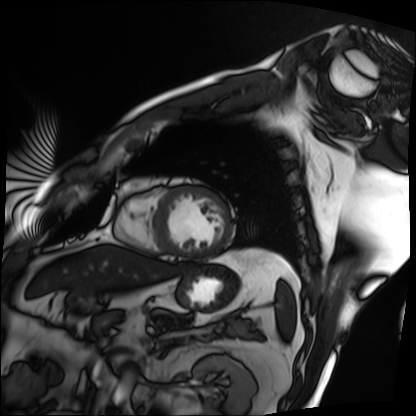
<scan>
<modality>cardiac MRI</modality>
<cohort>patient</cohort>
</scan>